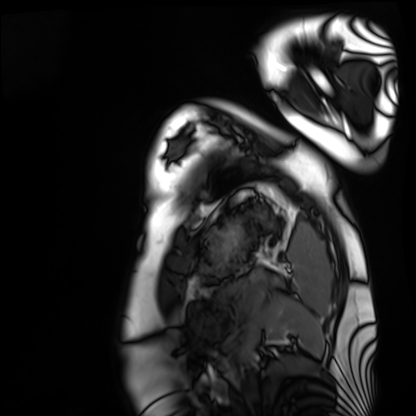
  modality: cardiac MRI
  cohort: healthy volunteer